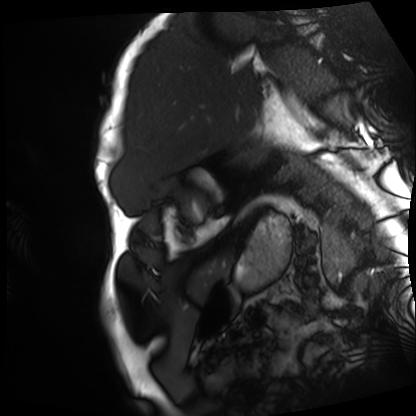
Q: What kind of scan is this?
A: Cardiac MRI.
Subject group: patient.